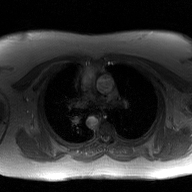
Clinical context: 2D phase-contrast cine MRI of the ascending aorta, GAN super-resolution reconstruction.